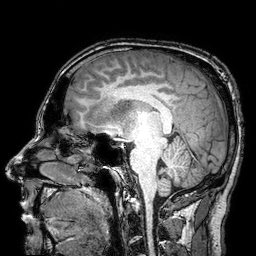
<case>
<modality>
  <type>brain MRI</type>
  <field_strength>3T</field_strength>
</modality>
<series>3D T1-weighted turbo field echo with SENSE</series>
<study_topic>ring-enhancing brain masses</study_topic>
</case>